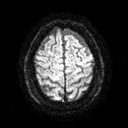
• modality — 3 Tesla brain MRI
• series — diffusion tensor imaging (medium iso)
• study — ring-enhancing brain masses